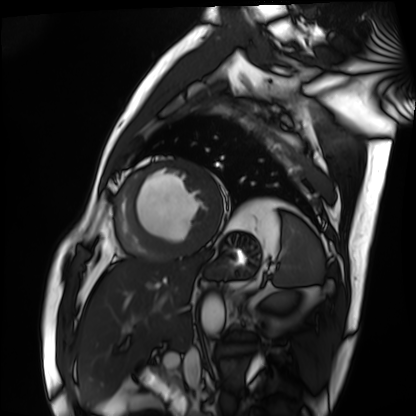
Summary: Cardiac MRI. Subject group: patient.